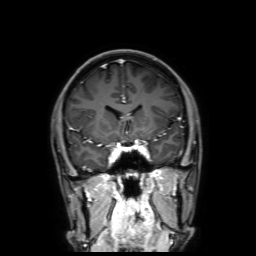
3 Tesla brain MRI. Series: 3D T1-weighted with SENSE. Study: ring-enhancing brain masses.